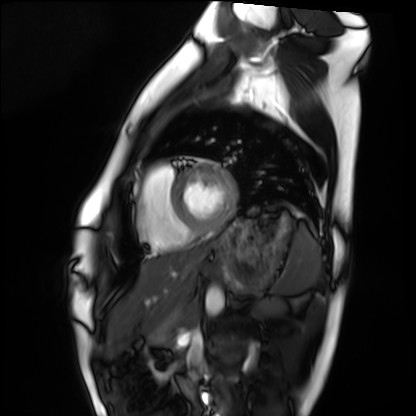
Clinical context: Cardiac MRI. Subject group: healthy volunteer.